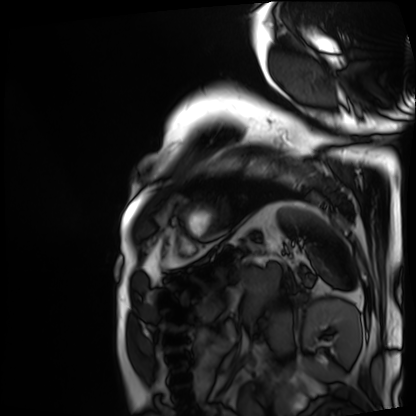
Cardiac MRI. Subject group: patient.